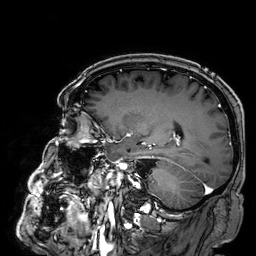
  modality:
    type: brain MRI
    field_strength: 3T
  series: 3D T1-weighted
  study_topic: ring-enhancing brain masses